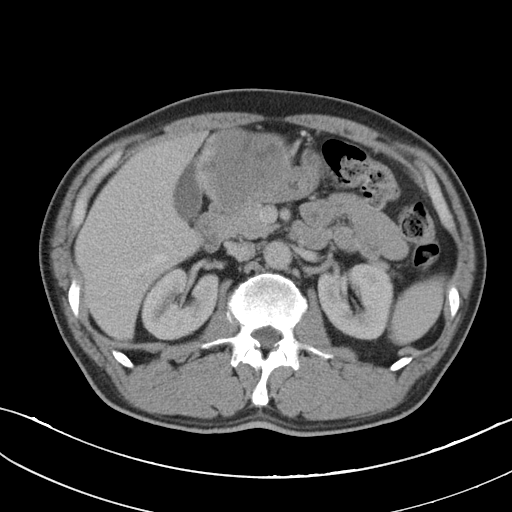
{
  "modality": {
    "type": "multiphase abdominal CT",
    "region": "liver",
    "phase": "portal venous"
  },
  "patient": {
    "sex": "female",
    "age": 29
  }
}